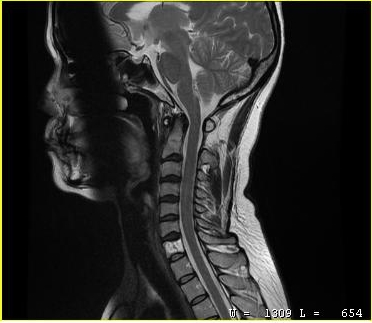
MRI of the cervical spine. Study: cervical spondylosis.